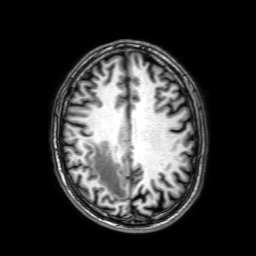
3 Tesla brain MRI. Study: ring-enhancing brain masses.